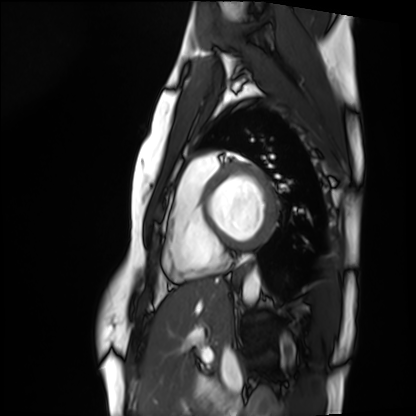
  modality: cardiac MRI
  cohort: healthy volunteer